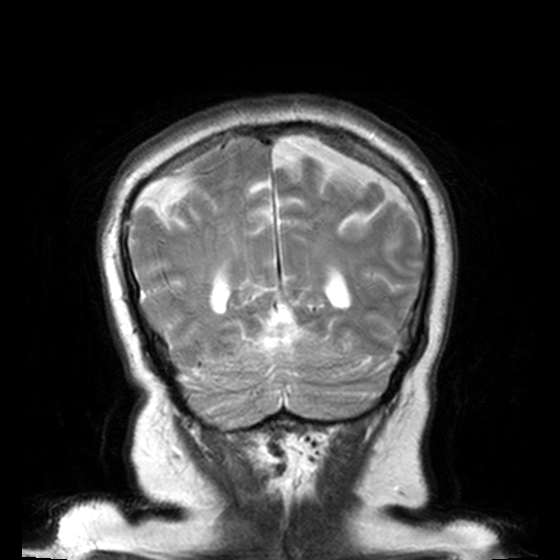
Case summary:
3 Tesla brain MRI. Series: T2-weighted turbo spin echo, 3 mm. Study: ring-enhancing brain masses.